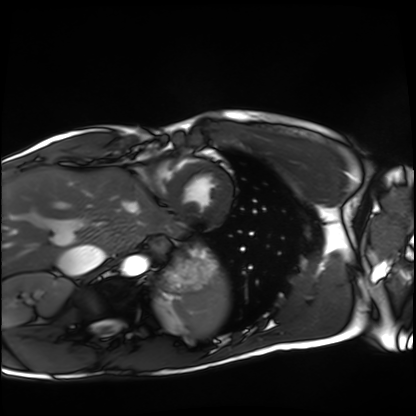
Case:
– modality: cardiac MRI
– subject group: healthy volunteer